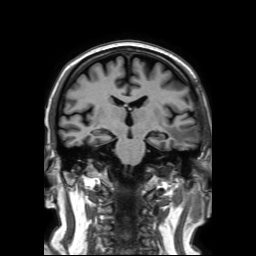
– modality: 3 Tesla brain MRI
– series: 3D T1-weighted TFE with SENSE
– study: ring-enhancing brain masses